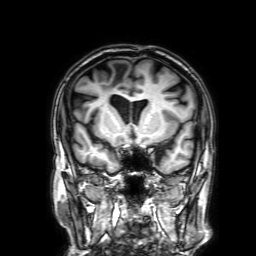
3 Tesla brain MRI. Series: 3D T1-weighted with SENSE. Study: ring-enhancing brain masses.